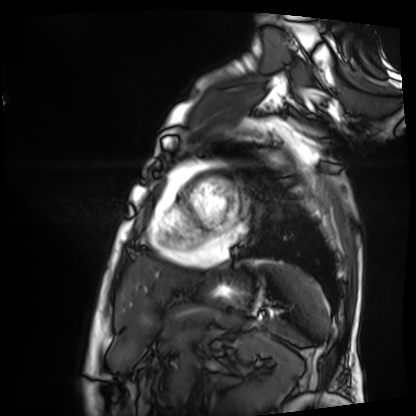
modality: cardiac MRI
cohort: patient